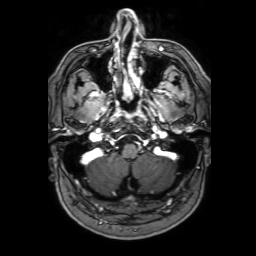
modality: 3 Tesla brain MRI
series: 3D T1-weighted with SENSE
study: ring-enhancing brain masses